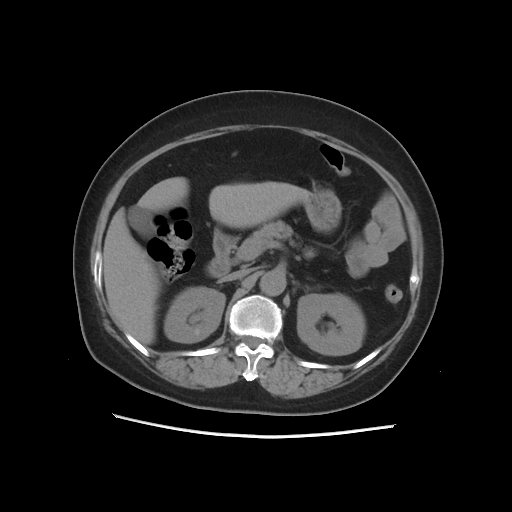
modality=multiphase abdominal CT, liver, non-contrast phase
patient=female, age 61